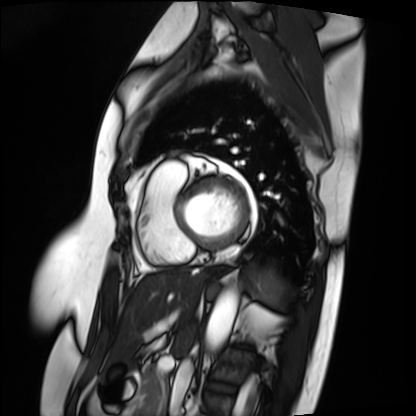
Summary: Cardiac MRI. Subject group: patient.